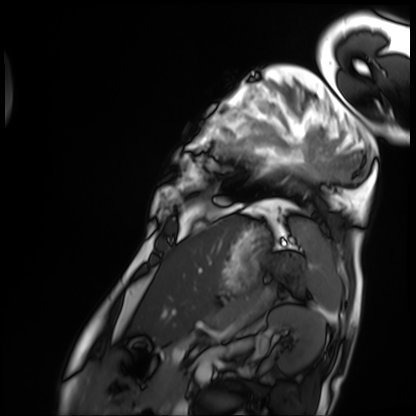
{"modality": "cardiac MRI", "cohort": "patient"}